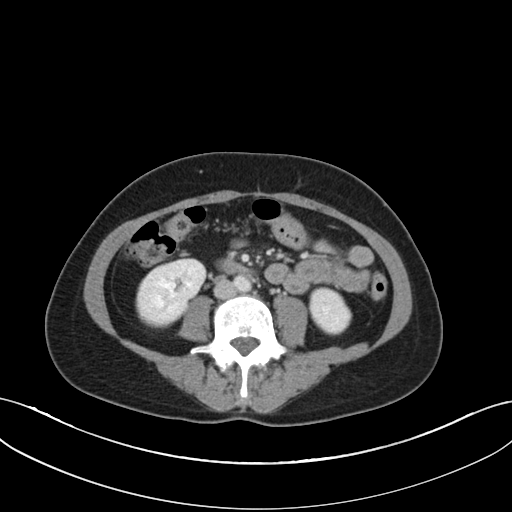
– modality · multiphase abdominal CT, liver, portal venous phase
– patient · female, age 49